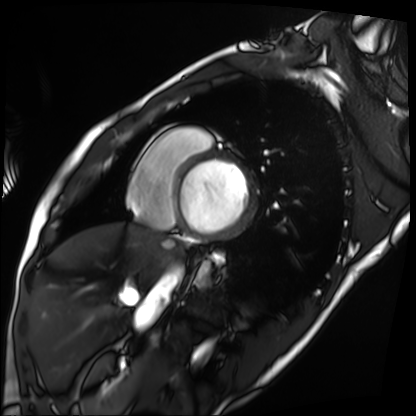
modality = cardiac MRI | subject group = patient.